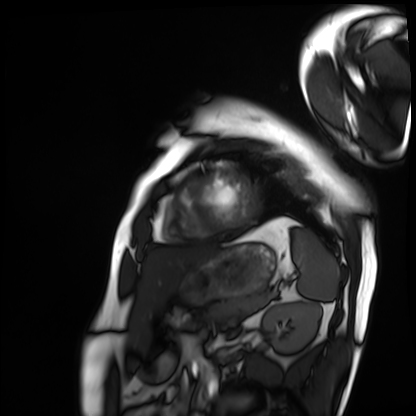
Cardiac MRI. Subject group: patient.